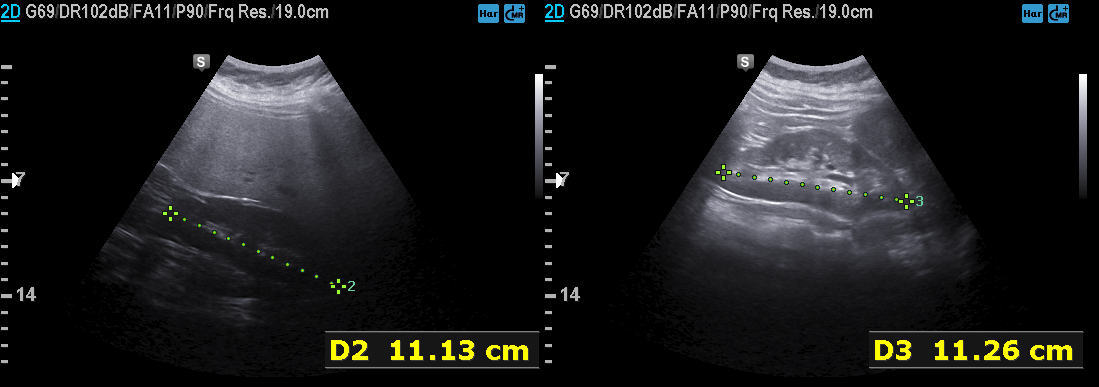
Genitourinary ultrasound.